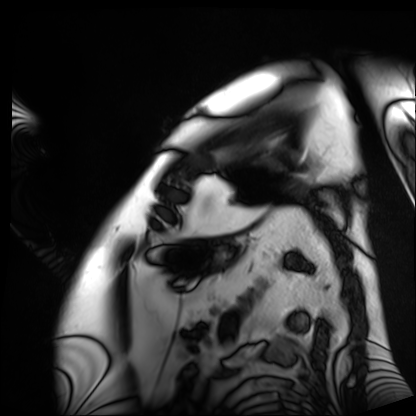
modality=cardiac MRI; subject group=patient.